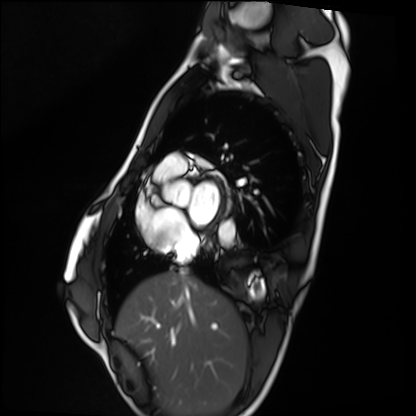
Cardiac MRI. Subject group: healthy volunteer.